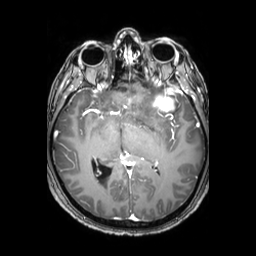
Clinical context: 3 Tesla brain MRI. Series: 3D T1-weighted TFE with SENSE. Study: ring-enhancing brain masses.